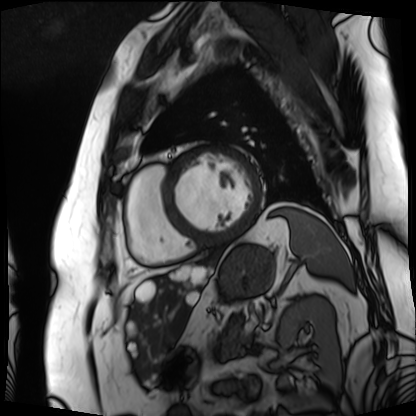
Cardiac MRI. Subject group: patient.